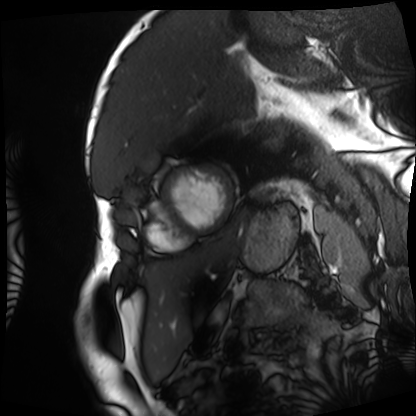
Clinical context:
Cardiac MRI. Subject group: patient.